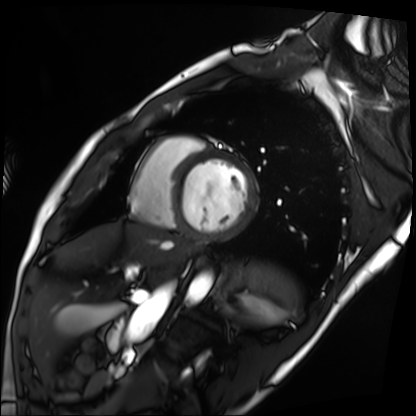
Case summary:
Cardiac MRI. Subject group: patient.